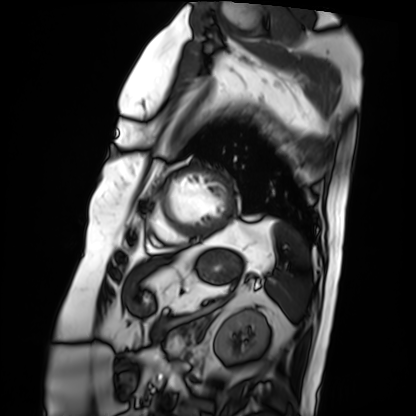
{"modality": "cardiac MRI", "cohort": "patient"}